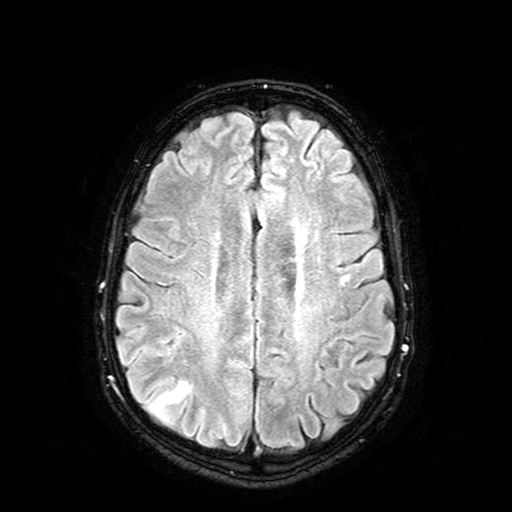
3 Tesla brain MRI.
Series: FLAIR with SPAIR.
Study: ring-enhancing brain masses.